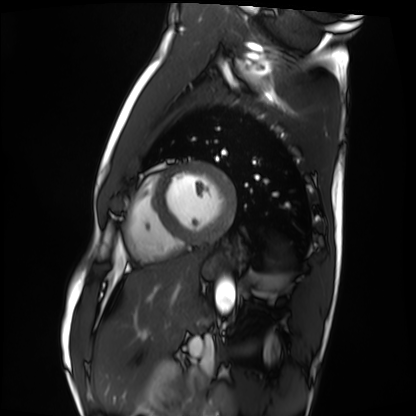
modality = cardiac MRI
subject group = healthy volunteer